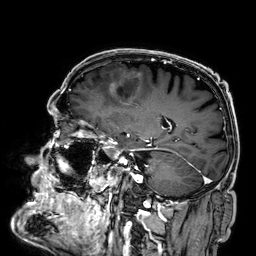
Case summary: 3 Tesla brain MRI. Series: 3D T1-weighted. Study: ring-enhancing brain masses.